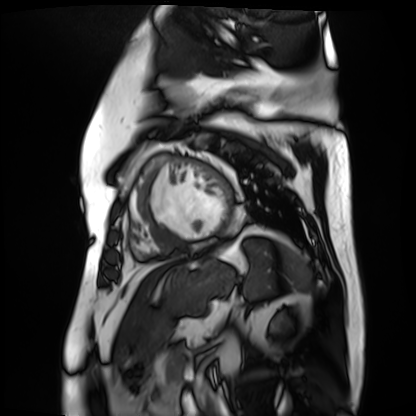
Case:
– modality — cardiac MR image of the myocardium
– subject cohort — cardiac patient